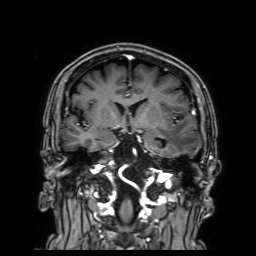
modality:
  type: brain MRI
  field_strength: 3T
study_topic: ring-enhancing brain masses